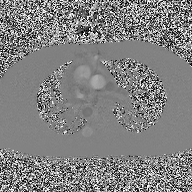
Q: What kind of scan is this?
A: 2D phase-contrast cine MRI of the ascending aorta.